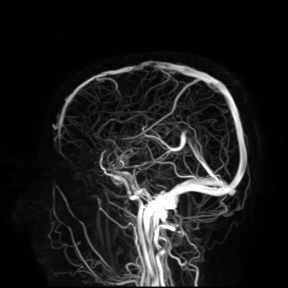
modality: 3 Tesla brain MRI; study: ring-enhancing brain masses.